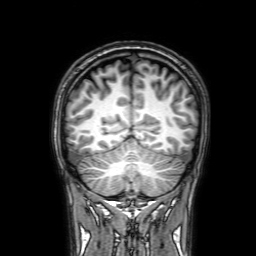
- modality · 3 Tesla brain MRI
- series · 3D T1-weighted with SENSE
- study · ring-enhancing brain masses